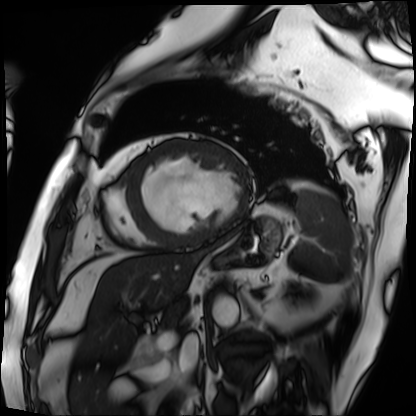
modality = cardiac MRI; subject group = patient.